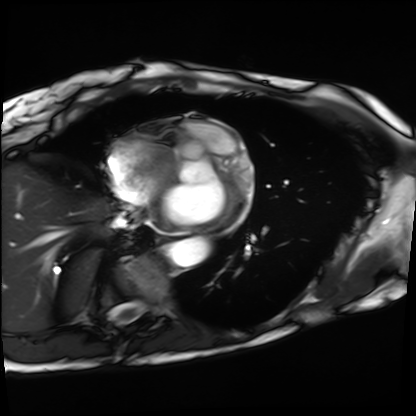
Q: What kind of scan is this?
A: Cardiac MRI.
Subject group: patient.